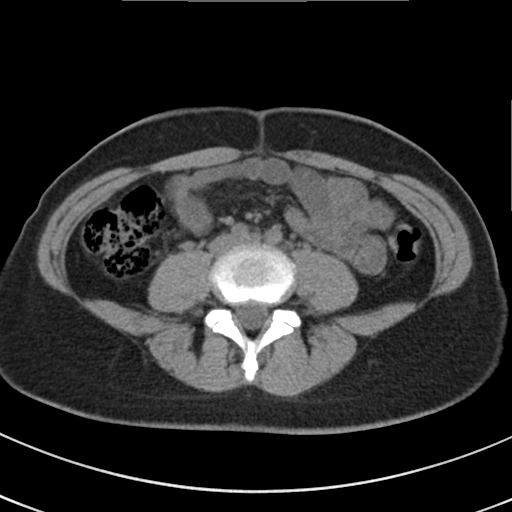
Multiphase abdominal CT, liver, non-contrast phase. Patient: female, age 37.